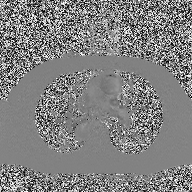
2D phase-contrast cine MRI of the ascending aorta, high-resolution GRAPPA acquisition.